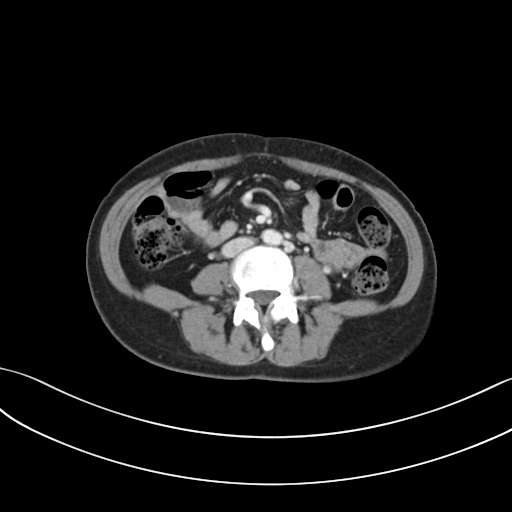
Multiphase abdominal CT, liver, portal venous phase.
Patient: female, age 34.
History: prior chemotherapy.